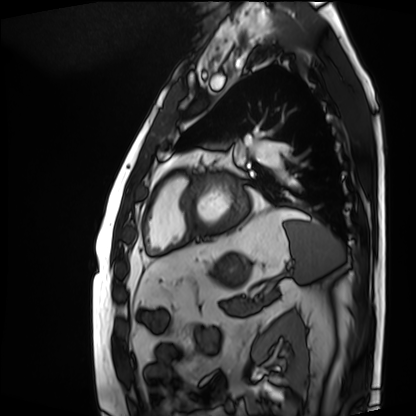
Cardiac MRI. Subject group: patient.